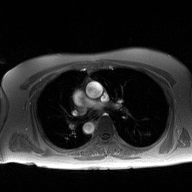
2D phase-contrast cine MRI of the ascending aorta, high-resolution GRAPPA acquisition.